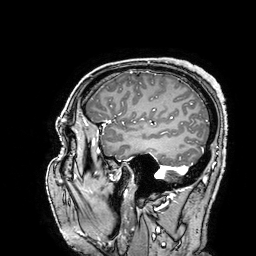
modality = 3 Tesla brain MRI | series = 3D T1-weighted turbo field echo with SENSE | study = ring-enhancing brain masses.